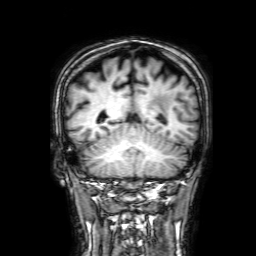
Case:
– modality: 3 Tesla brain MRI
– series: 3D T1-weighted with SENSE
– study: ring-enhancing brain masses